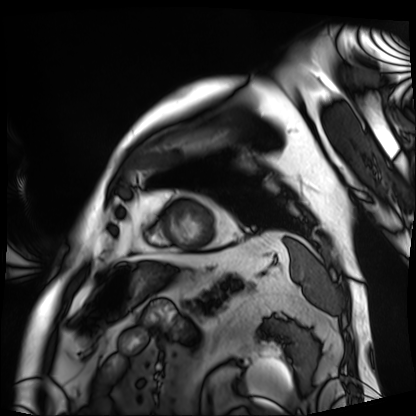
{
  "modality": "cardiac MRI",
  "cohort": "patient"
}